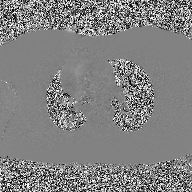
2D phase-contrast cine MRI of the ascending aorta, high-resolution GRAPPA acquisition.